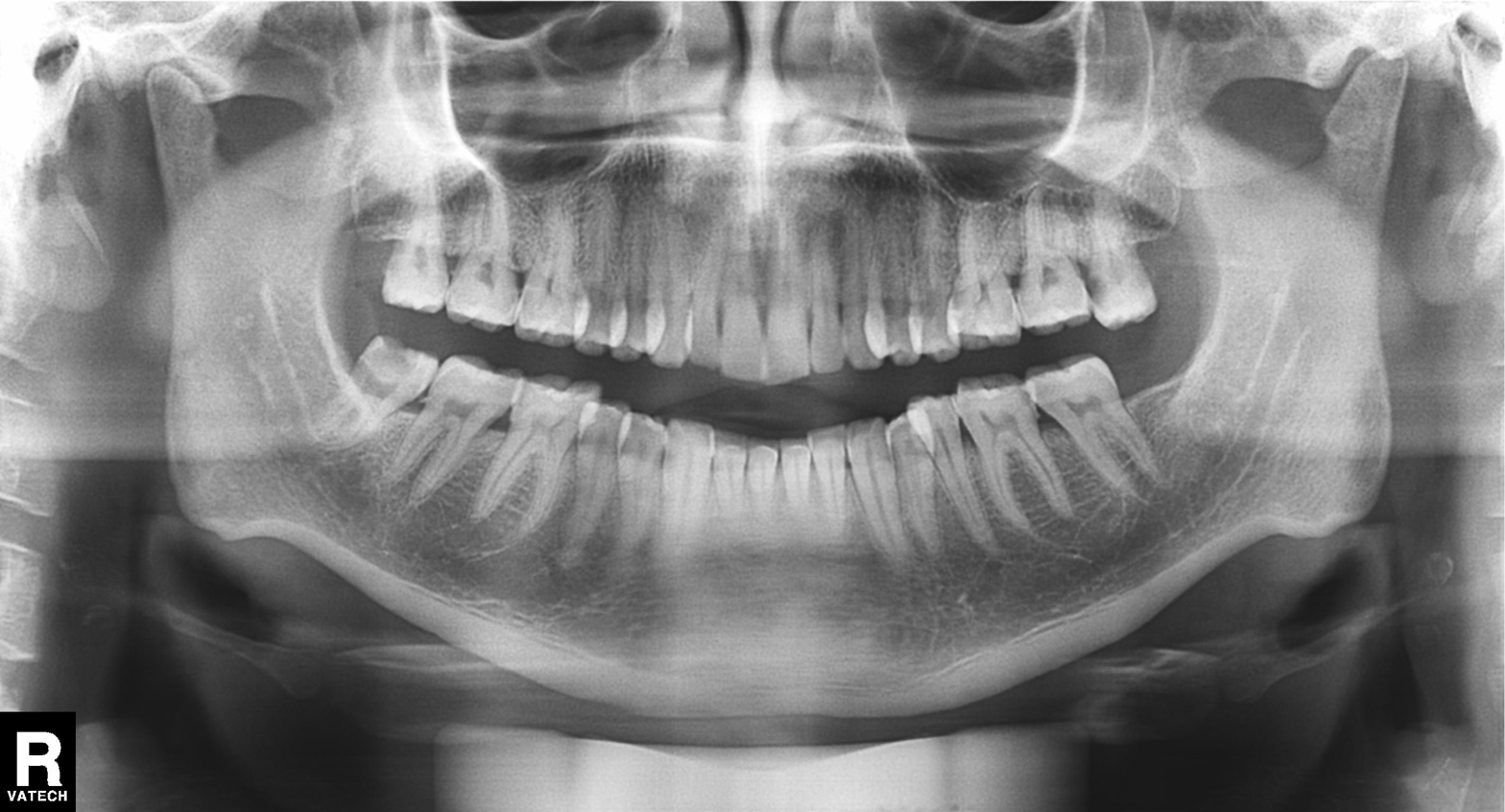
Panoramic dental radiograph (orthopantomogram). Finding: alveolar bone loss.